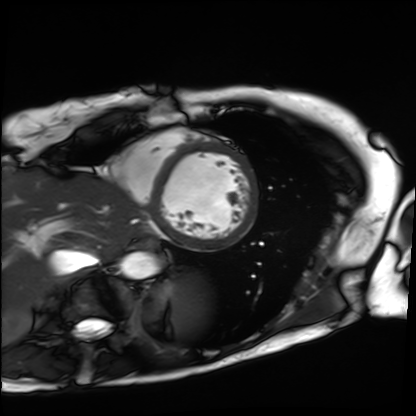
Summary:
Cardiac MRI. Subject group: patient.